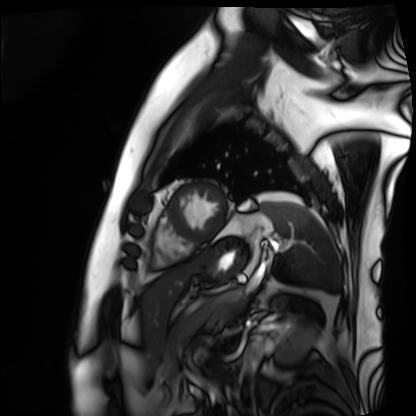
Cardiac MRI.
Subject group: patient.